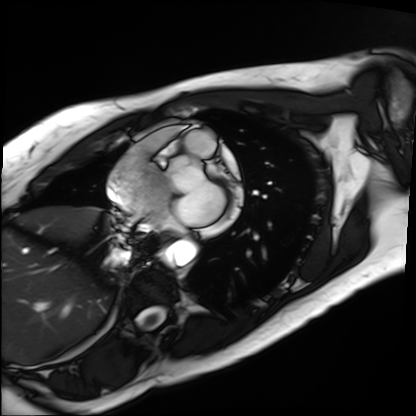
modality=cardiac MRI | subject group=patient.